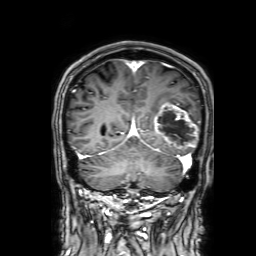
<record>
<modality>
  <type>brain MRI</type>
  <field_strength>3T</field_strength>
</modality>
<series>3D T1-weighted with SENSE</series>
<study_topic>ring-enhancing brain masses</study_topic>
</record>